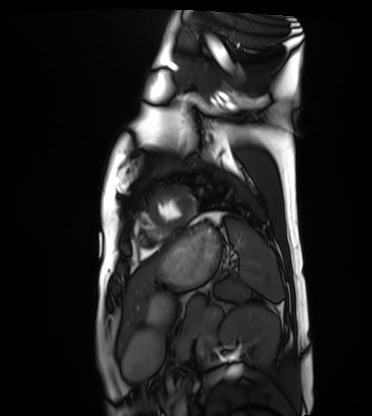
modality — cardiac MRI | subject group — healthy volunteer.